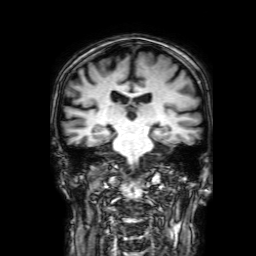
3 Tesla brain MRI.
Study: ring-enhancing brain masses.